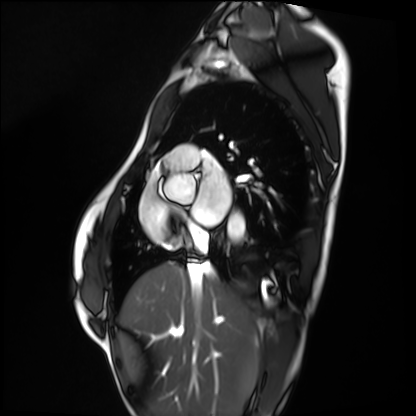
Case:
* modality · cardiac MRI
* subject group · healthy volunteer